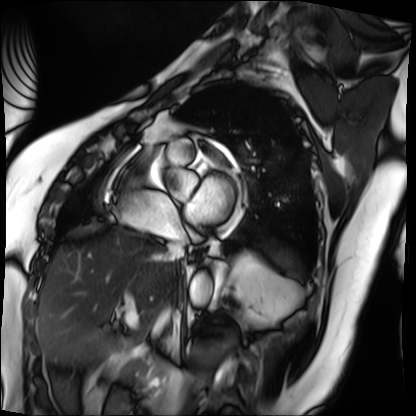
Cardiac MRI.
Subject group: patient.